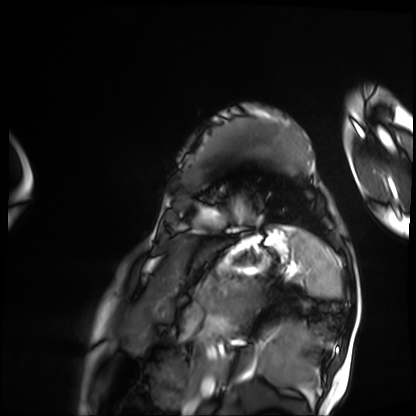
modality — cardiac MRI; subject group — patient.